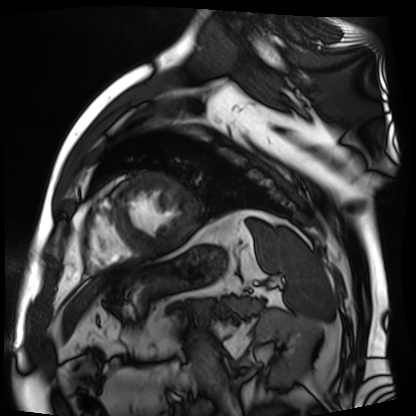
Q: What kind of scan is this?
A: Cardiac MR image of the myocardium.
Subject cohort: cardiac patient.